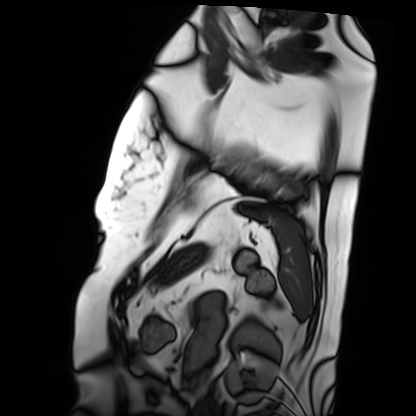
| field | value |
|---|---|
| modality | cardiac MRI |
| subject group | patient |